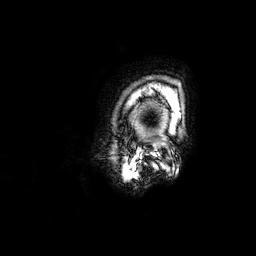
3 Tesla brain MRI. Study: ring-enhancing brain masses.